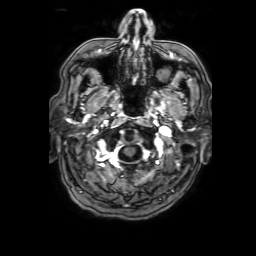
modality: 3 Tesla brain MRI; series: 3D T1-weighted with SENSE; study: ring-enhancing brain masses.